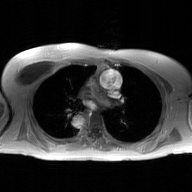
Q: What kind of scan is this?
A: 2D phase-contrast cine MRI of the ascending aorta, GAN super-resolution reconstruction.